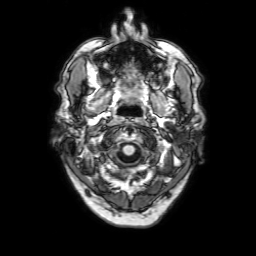
{
  "modality": {
    "type": "brain MRI",
    "field_strength": "3T"
  },
  "series": "3D T1-weighted with SENSE",
  "study_topic": "ring-enhancing brain masses"
}